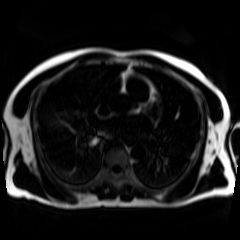
{"modality": "chemical-shift-encoded cardiac MRI"}